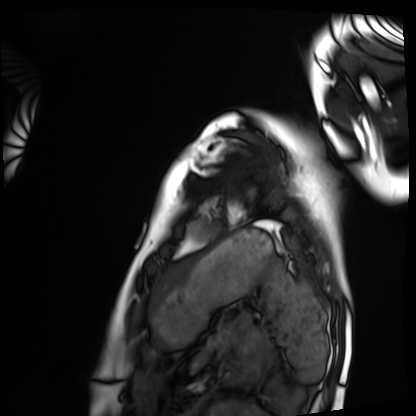
Cardiac MRI. Subject group: healthy volunteer.